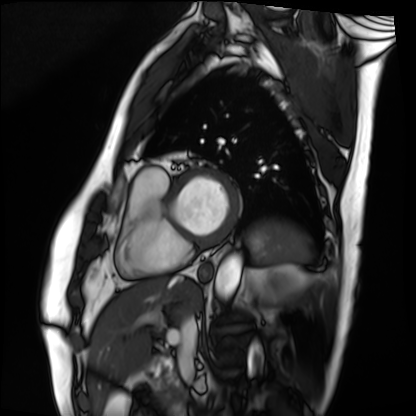
Cardiac MRI. Subject group: patient.